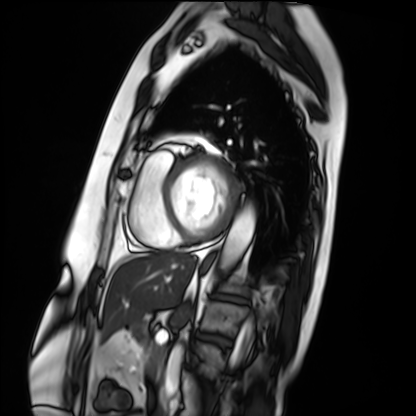
Summary: Cardiac MRI. Subject group: patient.